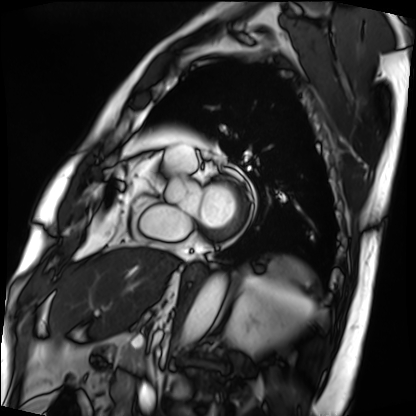
- modality — cardiac MRI
- subject group — patient